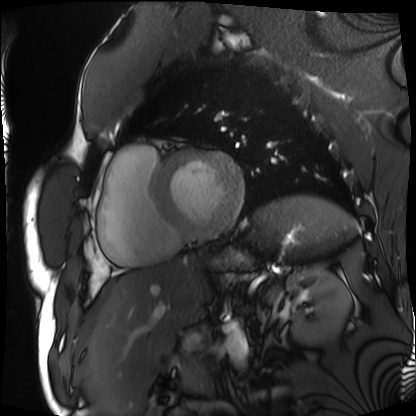
<study>
<modality>cardiac MRI</modality>
<cohort>patient</cohort>
</study>